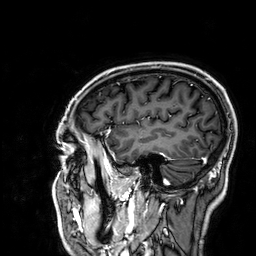
Q: What kind of scan is this?
A: 3 Tesla brain MRI.
Q: Series?
A: 3D T1-weighted.
Study: ring-enhancing brain masses.